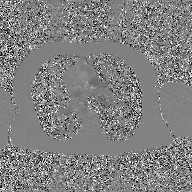
2D phase-contrast cine MRI of the ascending aorta, GAN super-resolution reconstruction.